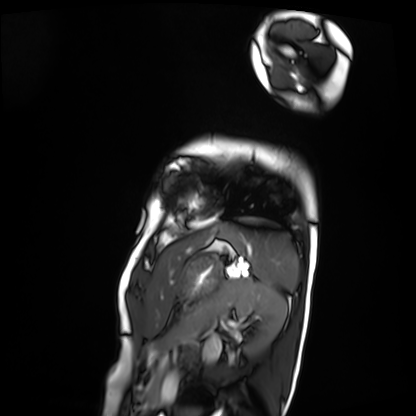
Summary:
Cardiac MRI. Subject group: patient.